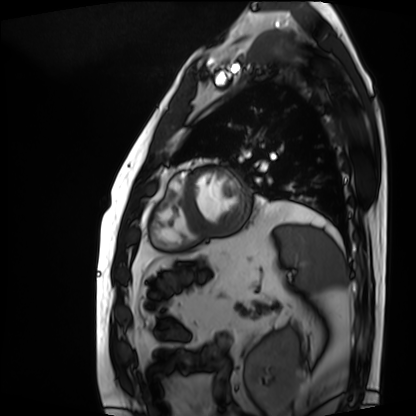
Clinical context: Cardiac MRI. Subject group: patient.